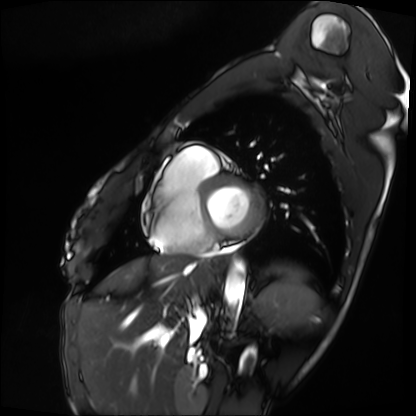
Case:
* modality · cardiac MRI
* subject group · patient